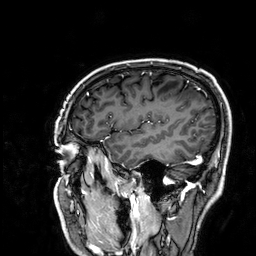
3 Tesla brain MRI. Series: 3D T1-weighted. Study: ring-enhancing brain masses.